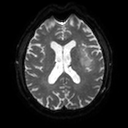
Q: What kind of scan is this?
A: 3 Tesla brain MRI.
Q: Series?
A: Diffusion tensor imaging (medium iso).
Study: ring-enhancing brain masses.